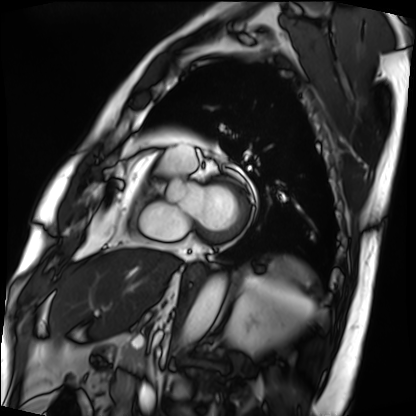
Cardiac MRI. Subject group: patient.